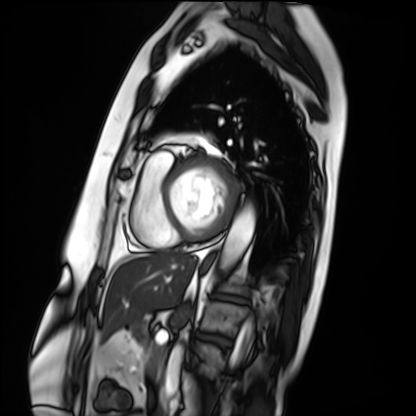
Cardiac MRI.
Subject group: patient.